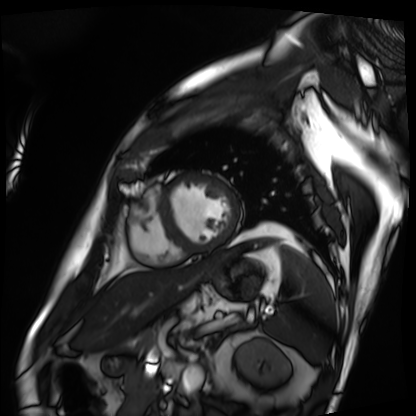
modality=cardiac MRI | subject group=patient.